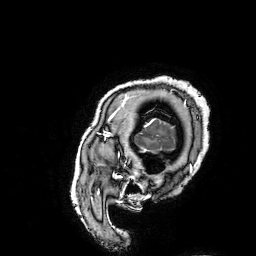
Q: What kind of scan is this?
A: 3 Tesla brain MRI.
Q: Series?
A: 3D T1-weighted turbo field echo with SENSE.
Study: ring-enhancing brain masses.